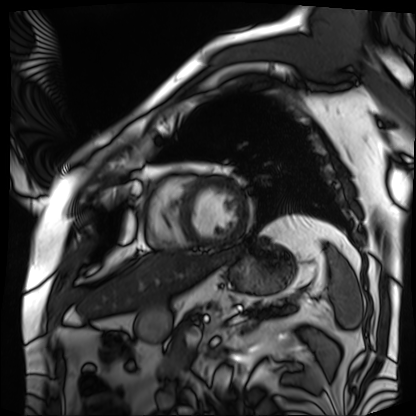
Case:
• modality · cardiac MRI
• subject group · patient